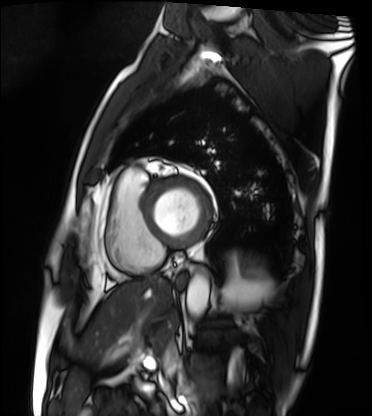
Case:
- modality — cardiac MRI
- subject group — patient